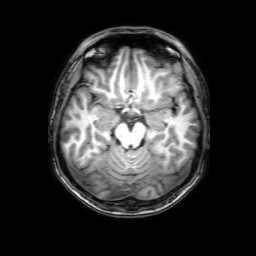
3 Tesla brain MRI. Series: 3D T1-weighted with SENSE. Study: ring-enhancing brain masses.